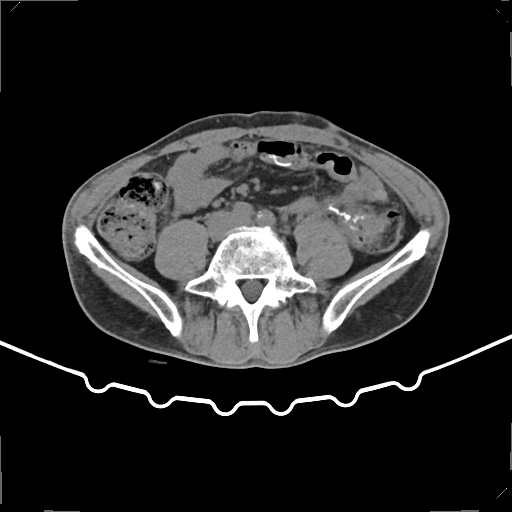
Multiphase abdominal CT, liver, non-contrast phase. Patient: male, age 59.